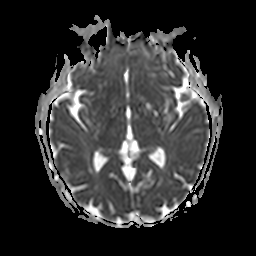
Q: What kind of scan is this?
A: 3 Tesla brain MRI.
Q: Series?
A: Apparent diffusion coefficient (ADC) map.
Study: ring-enhancing brain masses.